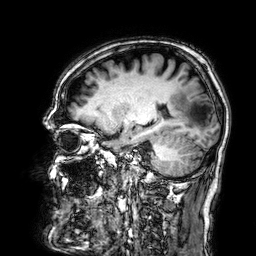
Summary:
3 Tesla brain MRI. Series: 3D T1-weighted. Study: ring-enhancing brain masses.